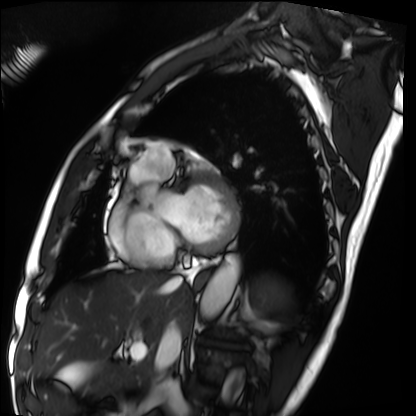
Summary: Cardiac MRI. Subject group: patient.